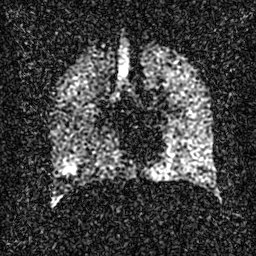
modality: hyperpolarized 129Xe ventilation MRI of the lungs
SNR level: 3 of 8 (the deposit holds this scan as its native image and as seven SNR-degraded versions)